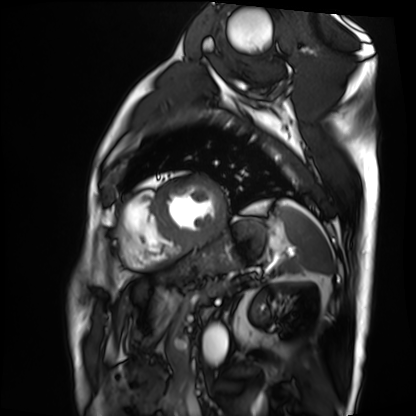
Q: What kind of scan is this?
A: Cardiac MRI.
Subject group: patient.